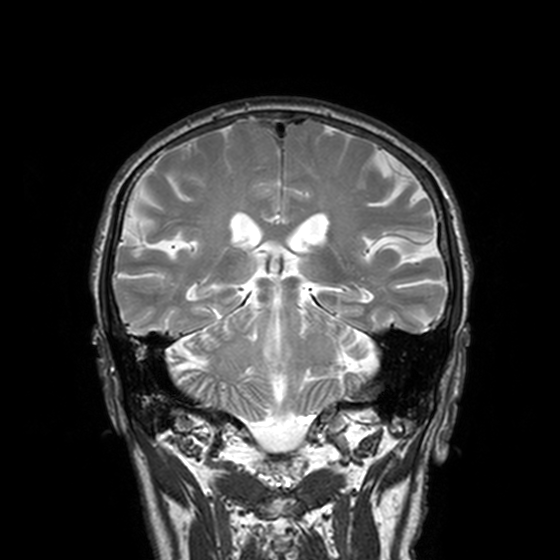
Q: What kind of scan is this?
A: 3 Tesla brain MRI.
Study: ring-enhancing brain masses.